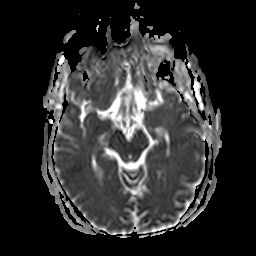
- modality — 3 Tesla brain MRI
- series — apparent diffusion coefficient (ADC) map
- study — ring-enhancing brain masses